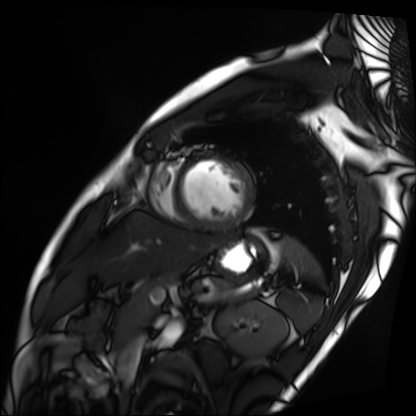
Clinical context:
Cardiac MRI. Subject group: patient.